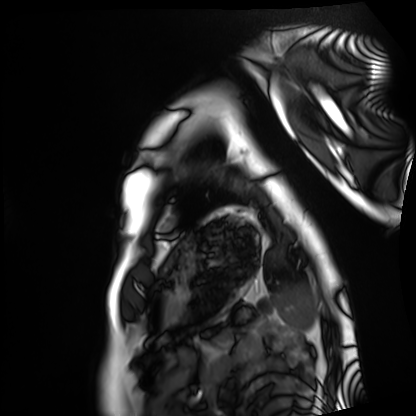
modality: cardiac MRI
cohort: healthy volunteer